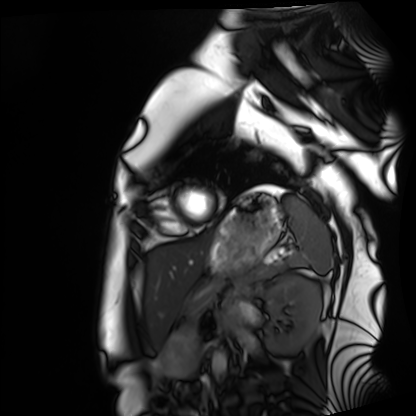
Cardiac MRI. Subject group: healthy volunteer.